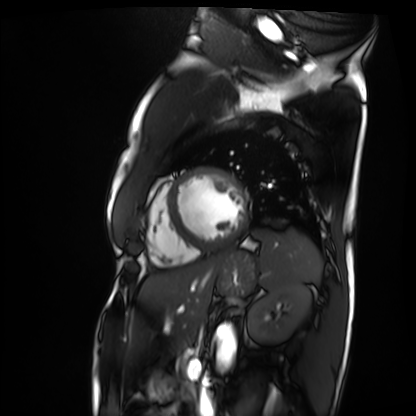
<study>
<modality>cardiac MRI</modality>
<cohort>patient</cohort>
</study>